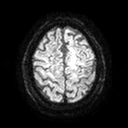
3 Tesla brain MRI. Series: diffusion tensor imaging (medium iso). Study: ring-enhancing brain masses.